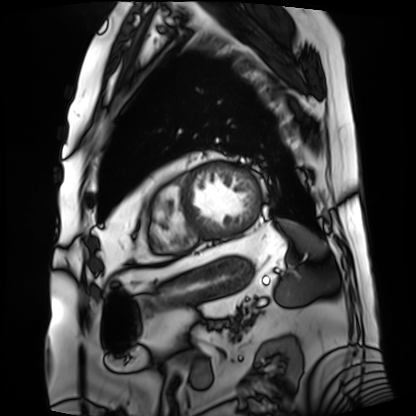
modality: cardiac MRI
cohort: patient